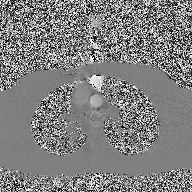
2D phase-contrast cine MRI of the ascending aorta, high-resolution GRAPPA acquisition.